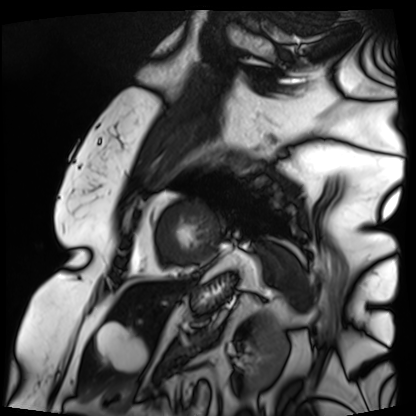
Q: What kind of scan is this?
A: Cardiac MRI.
Subject group: patient.